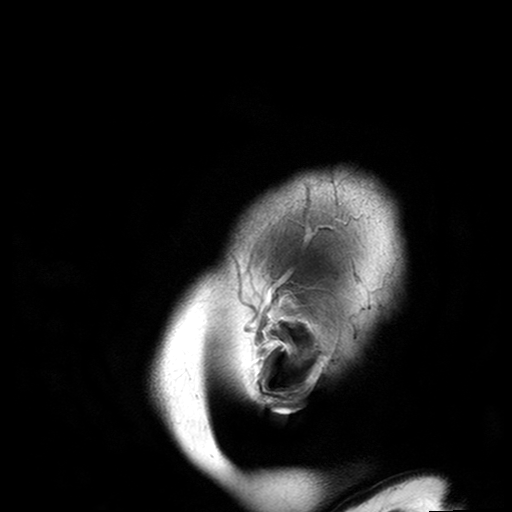
Clinical context:
3 Tesla brain MRI. Series: T2-weighted turbo spin echo with SENSE. Study: ring-enhancing brain masses.